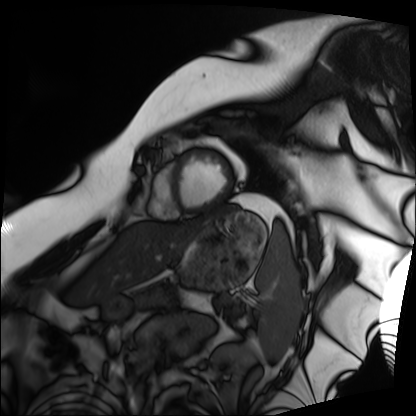
<case>
<modality>cardiac MRI</modality>
<cohort>patient</cohort>
</case>